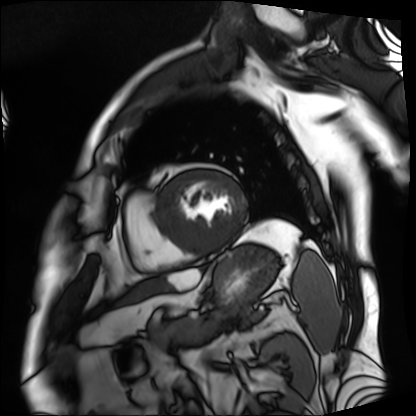
modality: cardiac MRI
subject group: patient